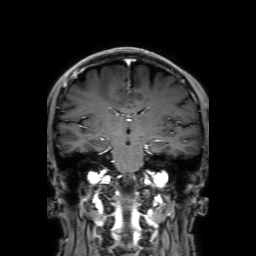
modality: 3 Tesla brain MRI
series: 3D T1-weighted with SENSE
study: ring-enhancing brain masses